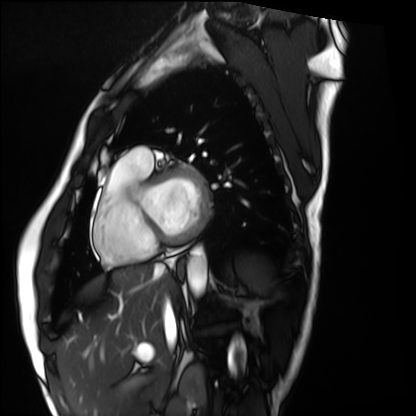
<scan>
  <modality>cardiac MRI</modality>
  <cohort>healthy volunteer</cohort>
</scan>